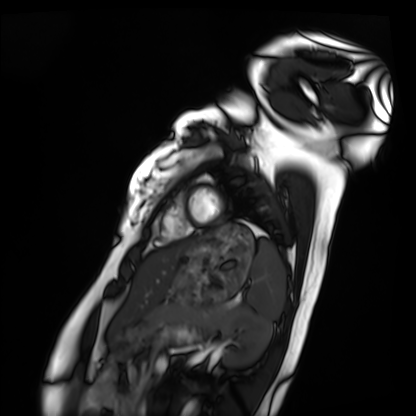
- modality · cardiac MRI
- subject group · healthy volunteer